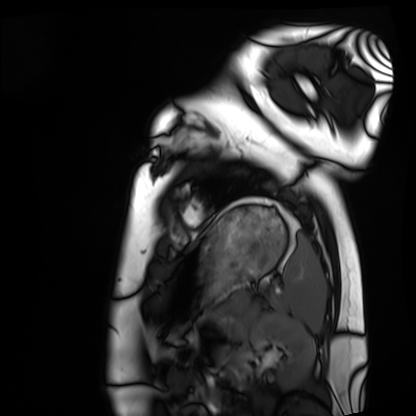
{"modality": "cardiac MRI", "cohort": "healthy volunteer"}